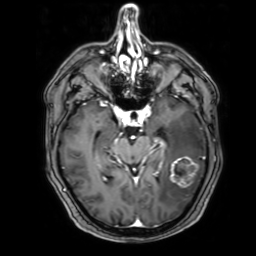
3 Tesla brain MRI. Series: 3D T1-weighted with SENSE. Study: ring-enhancing brain masses.